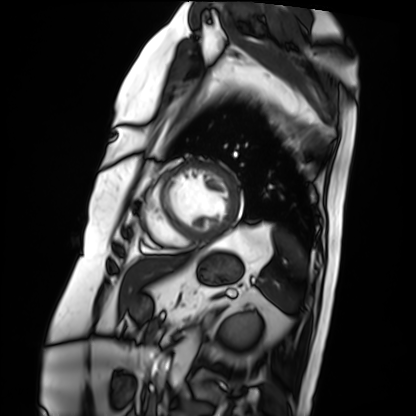
Summary:
Cardiac MRI. Subject group: patient.